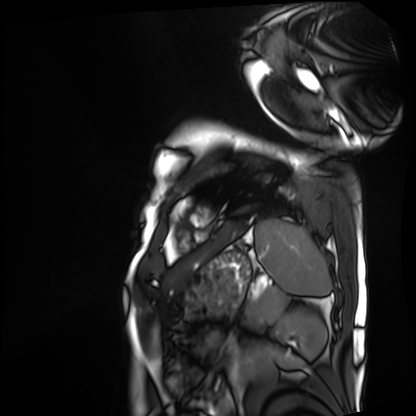
  modality: cardiac MRI
  cohort: patient